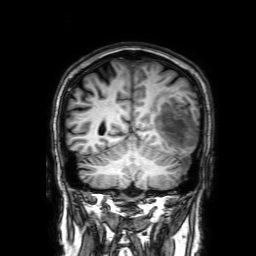
Clinical context: 3 Tesla brain MRI. Series: 3D T1-weighted with SENSE. Study: ring-enhancing brain masses.